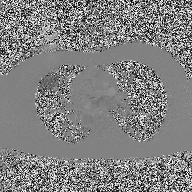
| field | value |
|---|---|
| modality | 2D phase-contrast cine MRI of the ascending aorta |